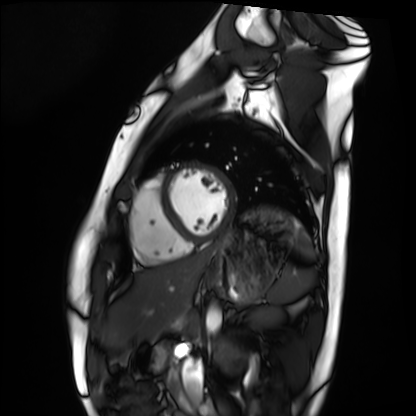
Summary: Cardiac MRI. Subject group: healthy volunteer.